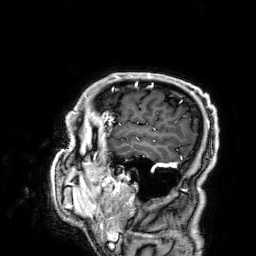
modality = 3 Tesla brain MRI; series = 3D T1-weighted; study = ring-enhancing brain masses.